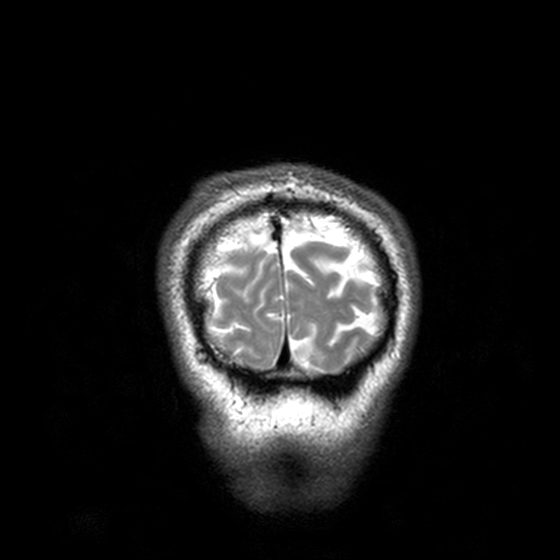
modality = 3 Tesla brain MRI | series = T2-weighted turbo spin echo, 3 mm | study = ring-enhancing brain masses.